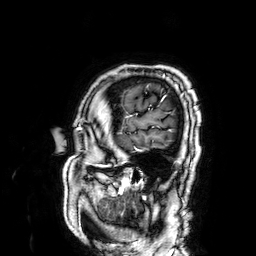
– modality · 3 Tesla brain MRI
– series · 3D T1-weighted
– study · ring-enhancing brain masses